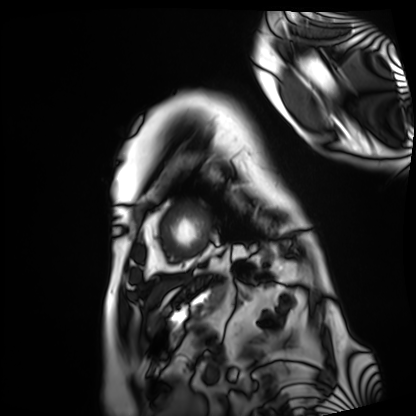
Q: What kind of scan is this?
A: Cardiac MRI.
Subject group: patient.